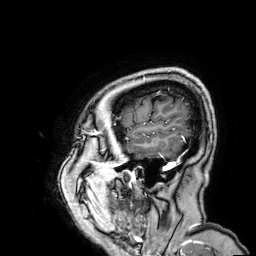
| field | value |
|---|---|
| modality | 3 Tesla brain MRI |
| study | ring-enhancing brain masses |